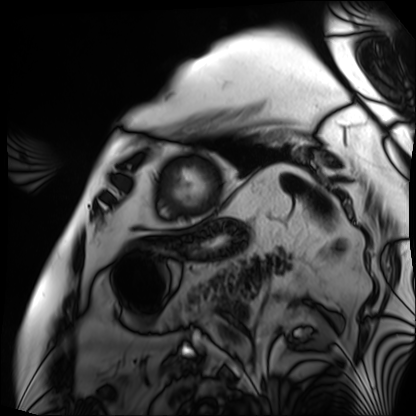
Cardiac MRI. Subject group: patient.